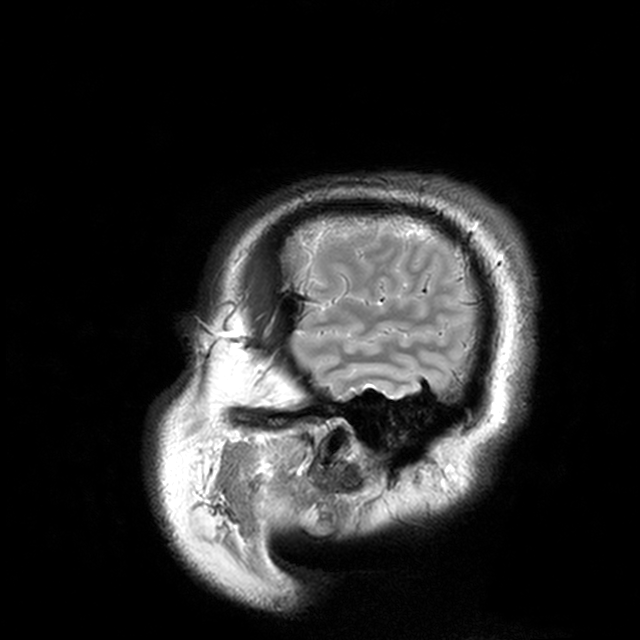
3 Tesla brain MRI. Series: T2-weighted turbo spin echo with CLEAR. Study: ring-enhancing brain masses.